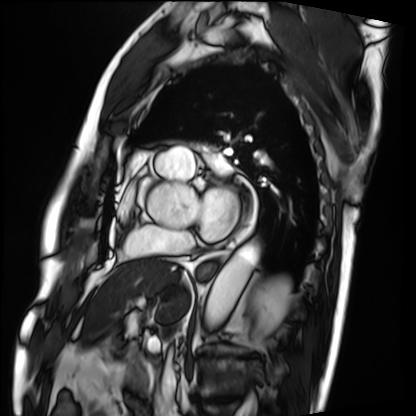
modality: cardiac MRI
cohort: patient